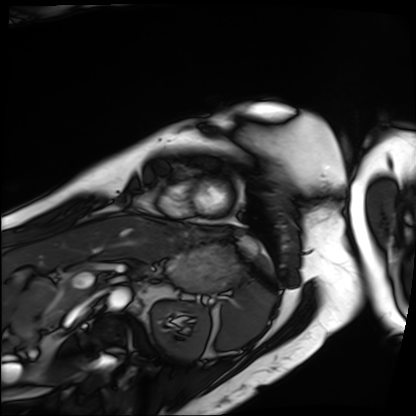
Cardiac MRI. Subject group: patient.